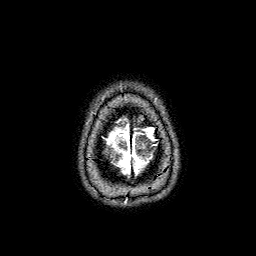
* modality: 3 Tesla brain MRI
* series: FLAIR with SPAIR
* study: ring-enhancing brain masses